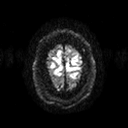
modality = 3 Tesla brain MRI; series = diffusion tensor imaging (medium iso); study = ring-enhancing brain masses.